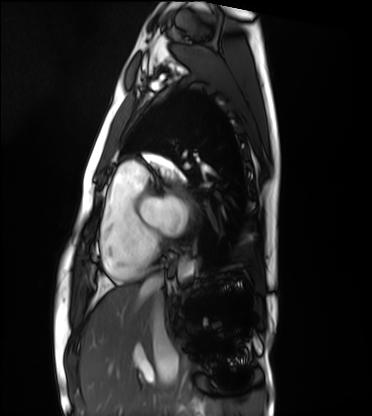
modality — cardiac MRI | subject group — healthy volunteer.